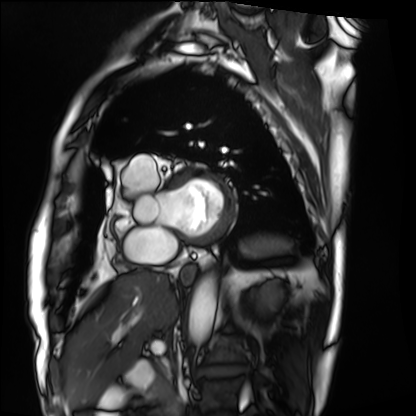
Cardiac MRI. Subject group: patient.